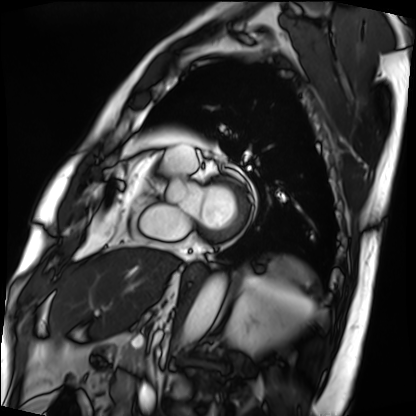
Case summary:
Cardiac MRI. Subject group: patient.